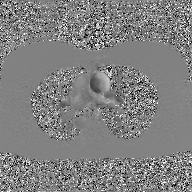
2D phase-contrast cine MRI of the ascending aorta, GAN super-resolution reconstruction.